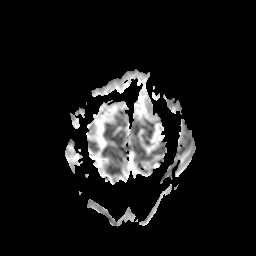
- modality — 3 Tesla brain MRI
- series — apparent diffusion coefficient (ADC) map
- study — ring-enhancing brain masses